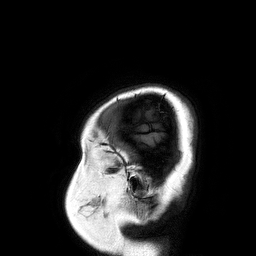
3 Tesla brain MRI. Series: 3D T1-weighted turbo field echo. Study: ring-enhancing brain masses.